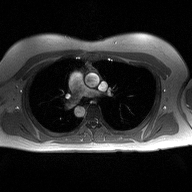
Case:
* modality: 2D phase-contrast cine MRI of the ascending aorta